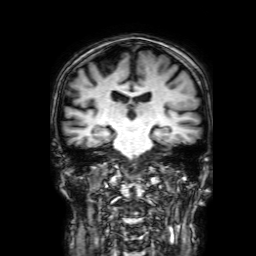
Summary:
3 Tesla brain MRI. Series: 3D T1-weighted with SENSE. Study: ring-enhancing brain masses.